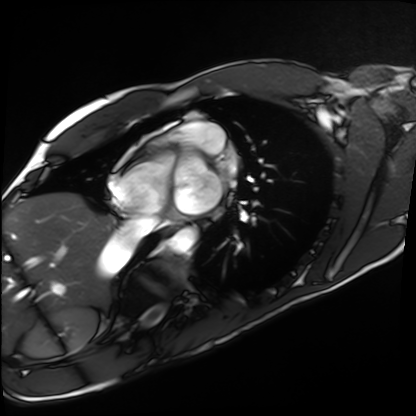
{"modality": "cardiac MRI", "cohort": "healthy volunteer"}